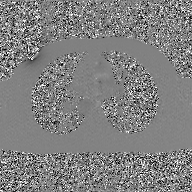
Case:
• modality · 2D phase-contrast cine MRI of the ascending aorta, GAN super-resolution reconstruction